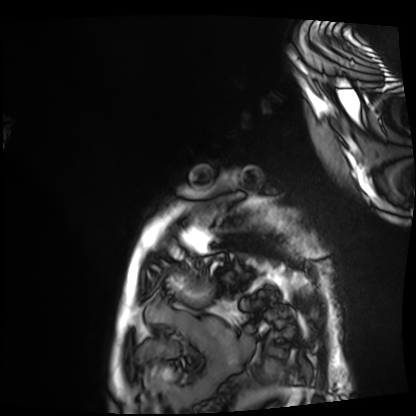
Q: What kind of scan is this?
A: Cardiac MRI.
Subject group: patient.